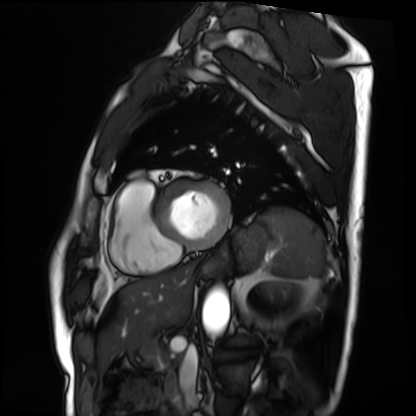
Case summary: Cardiac MRI. Subject group: patient.